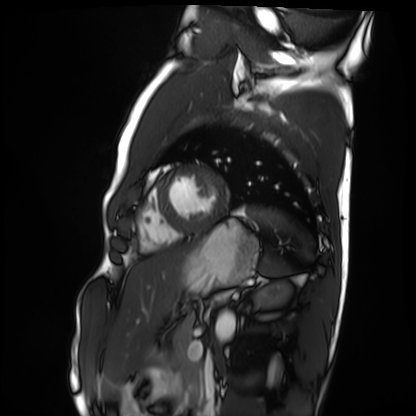
modality = cardiac MRI; subject group = healthy volunteer.